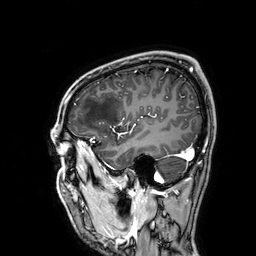
Case:
• modality — 3 Tesla brain MRI
• series — 3D T1-weighted
• study — ring-enhancing brain masses